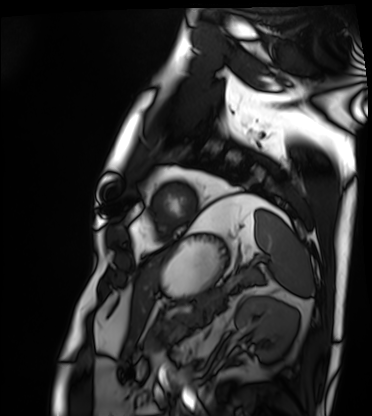
Cardiac MRI. Subject group: patient.